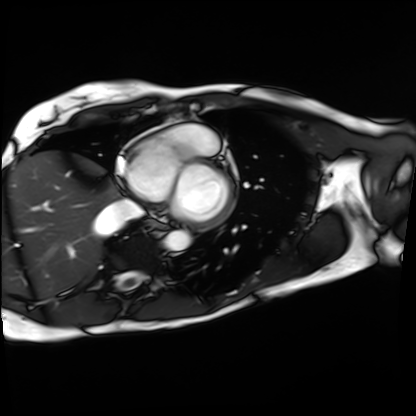
Cardiac MRI.
Subject group: patient.